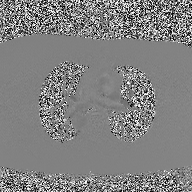
| field | value |
|---|---|
| modality | 2D phase-contrast cine MRI of the ascending aorta |